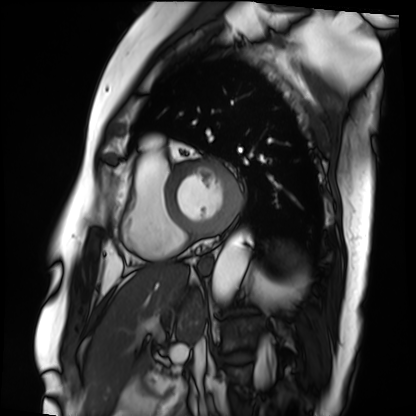
Q: What kind of scan is this?
A: Cardiac MRI.
Subject group: patient.